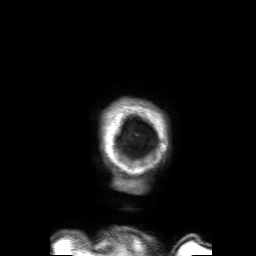
Q: What kind of scan is this?
A: 3 Tesla brain MRI.
Q: Series?
A: 3D T1-weighted with SENSE.
Study: ring-enhancing brain masses.